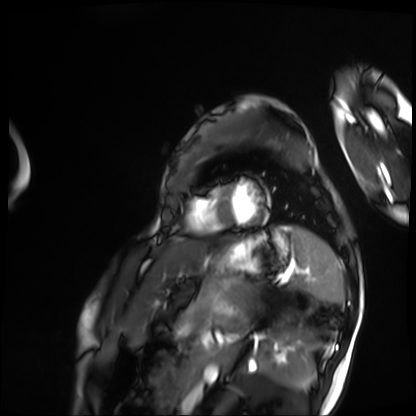
modality: cardiac MRI
subject group: patient